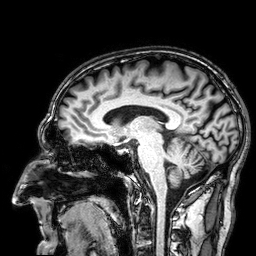
{
  "modality": {
    "type": "brain MRI",
    "field_strength": "3T"
  },
  "series": "3D T1-weighted",
  "study_topic": "ring-enhancing brain masses"
}